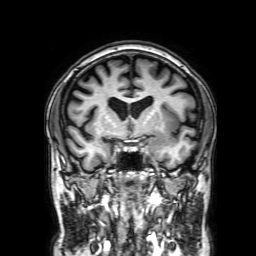
3 Tesla brain MRI. Series: 3D T1-weighted with SENSE. Study: ring-enhancing brain masses.